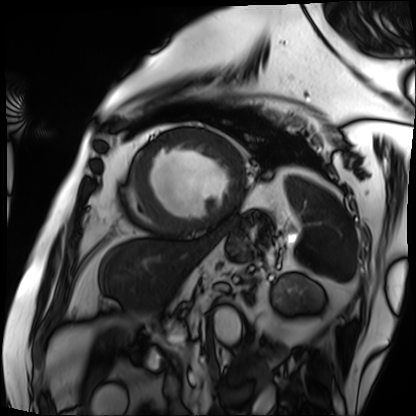
Cardiac MRI. Subject group: patient.